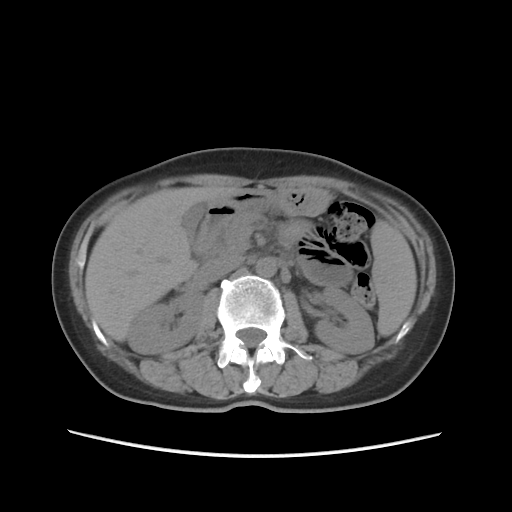
{
  "modality": {
    "type": "multiphase abdominal CT",
    "region": "liver",
    "phase": "non-contrast"
  },
  "patient": {
    "sex": "female",
    "age": 55
  }
}